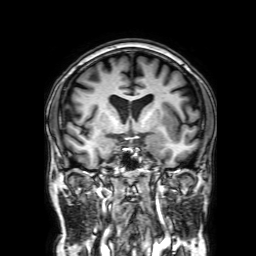
modality: 3 Tesla brain MRI; series: 3D T1-weighted with SENSE; study: ring-enhancing brain masses.